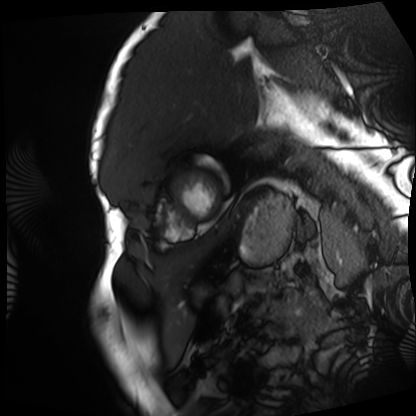
Clinical context: Cardiac MRI. Subject group: patient.